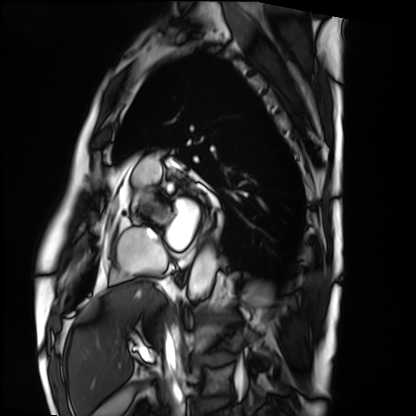
– modality: cardiac MRI
– subject group: patient